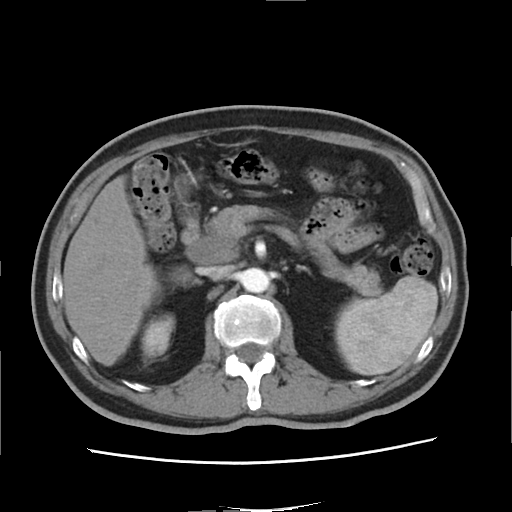
Summary: Multiphase abdominal CT, liver, arterial phase. Patient: male, age 65. History: viral hepatitis.